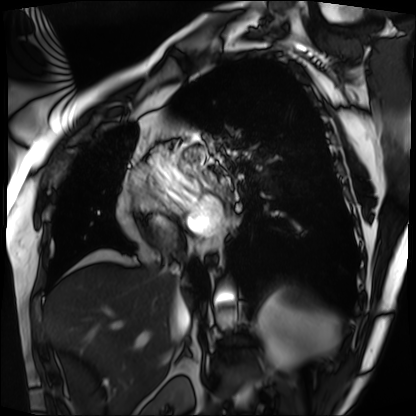
Cardiac MRI.
Subject group: patient.